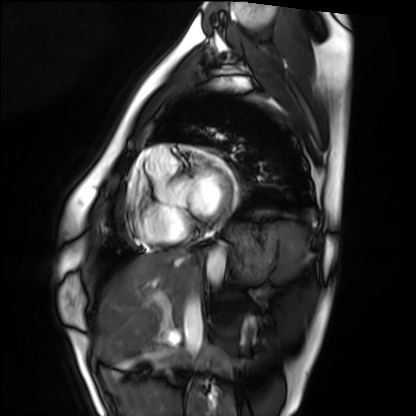
Cardiac MRI.
Subject group: healthy volunteer.